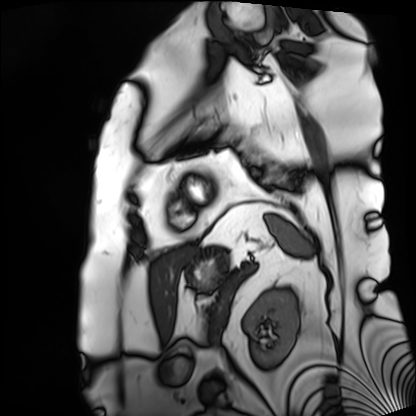
modality: cardiac MRI
cohort: patient